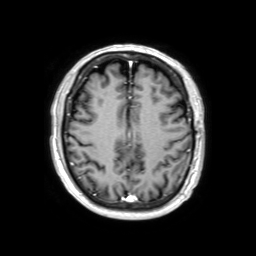
modality:
  type: brain MRI
  field_strength: 3T
series: 3D T1-weighted TFE with SENSE
study_topic: ring-enhancing brain masses